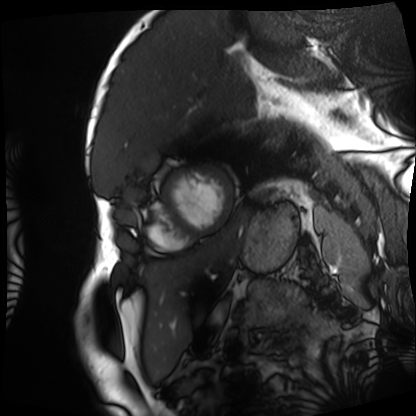
Summary: Cardiac MRI. Subject group: patient.